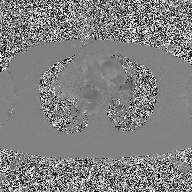
modality: 2D phase-contrast cine MRI of the ascending aorta.